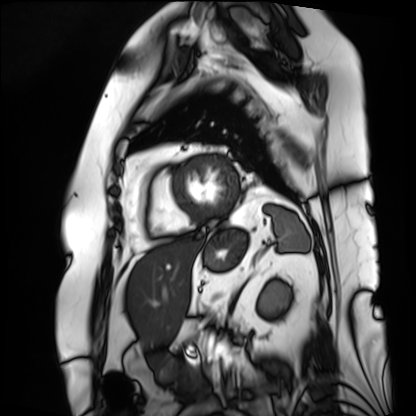
Cardiac MRI.
Subject group: patient.